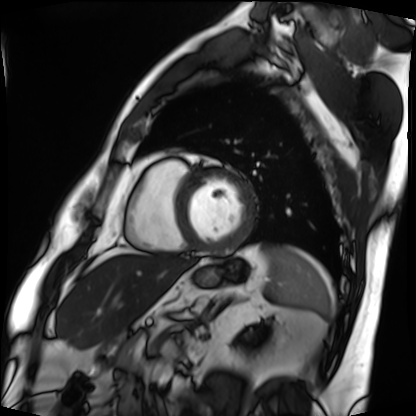
| field | value |
|---|---|
| modality | cardiac MRI |
| subject group | patient |